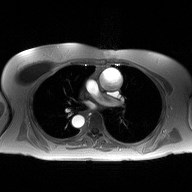
2D phase-contrast cine MRI of the ascending aorta, high-resolution GRAPPA acquisition.